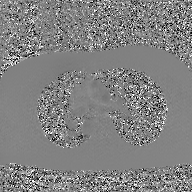
2D phase-contrast cine MRI of the ascending aorta, GAN super-resolution reconstruction.